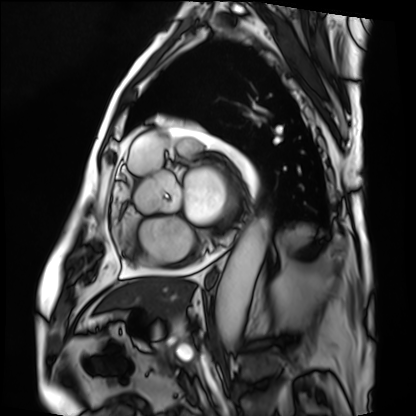
| field | value |
|---|---|
| modality | cardiac MRI |
| subject group | patient |